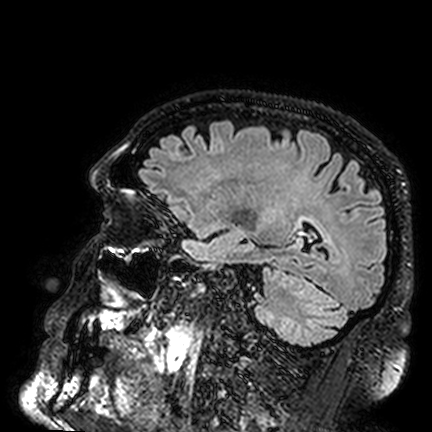
* modality — 3 Tesla brain MRI
* series — FLAIR VISTA
* study — ring-enhancing brain masses